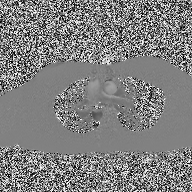
– modality: 2D phase-contrast cine MRI of the ascending aorta